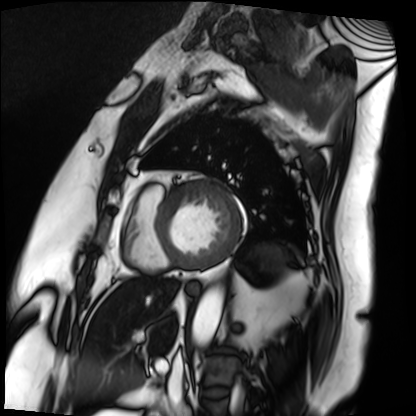
{
  "modality": "cardiac MRI",
  "cohort": "patient"
}